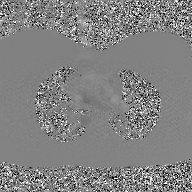
Case:
– modality · 2D phase-contrast cine MRI of the ascending aorta, GAN super-resolution reconstruction